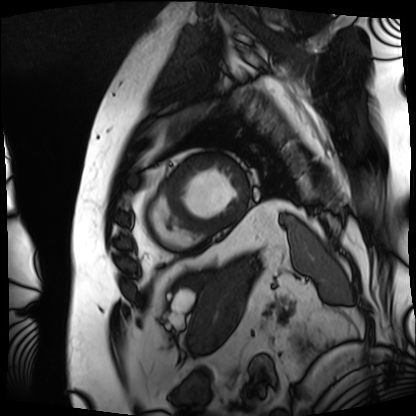
modality = cardiac MRI
subject group = patient